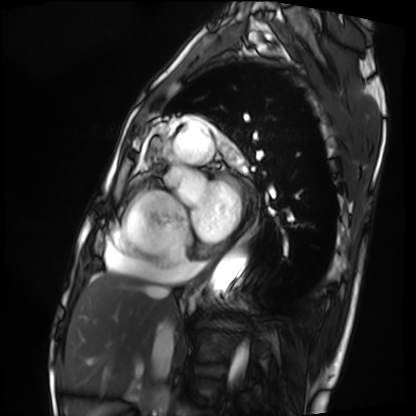
- modality — cardiac MRI
- subject group — patient